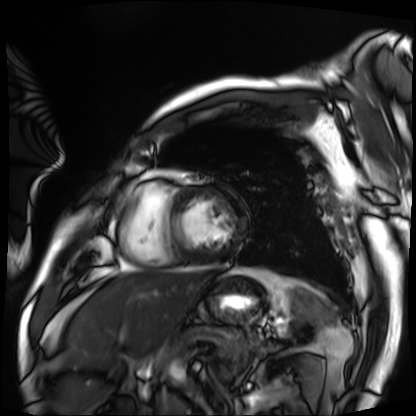
{"modality": "cardiac MRI", "cohort": "patient"}